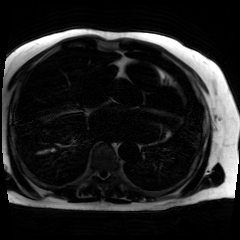
modality=chemical-shift-encoded cardiac MRI.